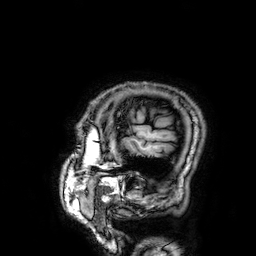
Clinical context: 3 Tesla brain MRI. Series: 3D T1-weighted. Study: ring-enhancing brain masses.